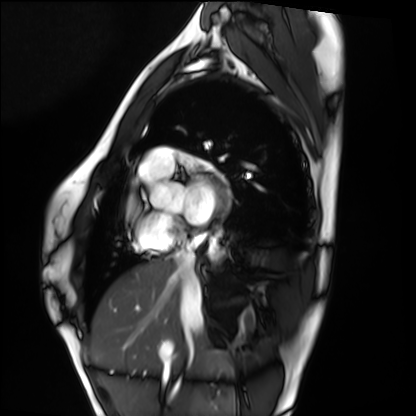
Q: What kind of scan is this?
A: Cardiac MRI.
Subject group: healthy volunteer.